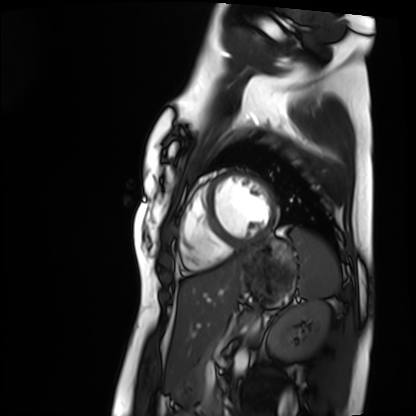
Clinical context: Cardiac MRI. Subject group: healthy volunteer.